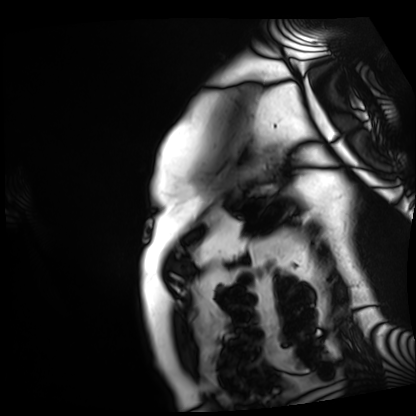
Summary: Cardiac MRI. Subject group: patient.